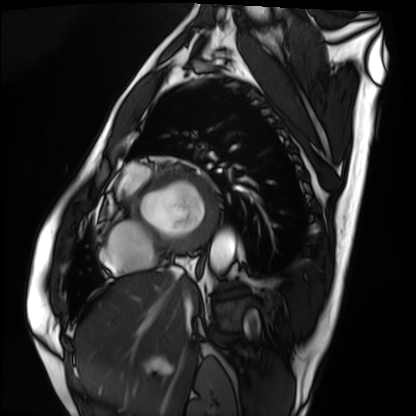
Summary:
Cardiac MRI. Subject group: patient.